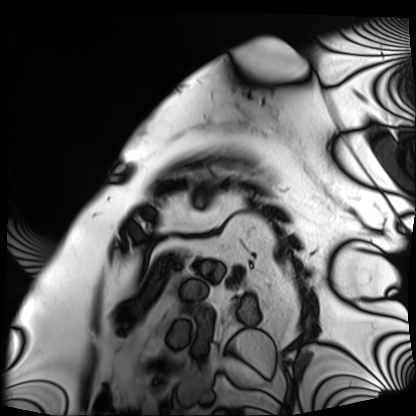
* modality — cardiac MRI
* subject group — patient